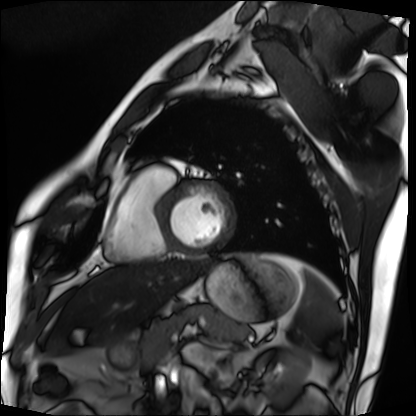
{"modality": "cardiac MRI", "cohort": "patient"}